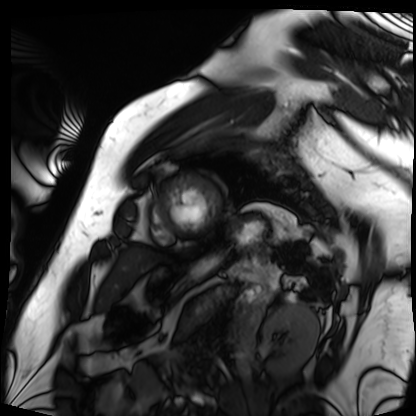
Summary:
Cardiac MRI. Subject group: patient.